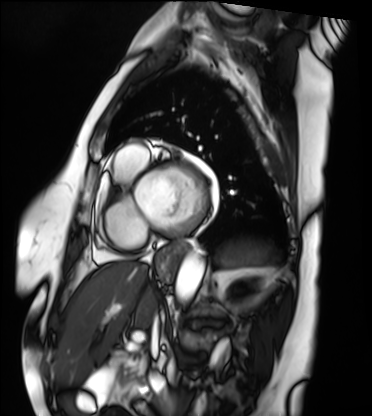
Cardiac MRI. Subject group: patient.